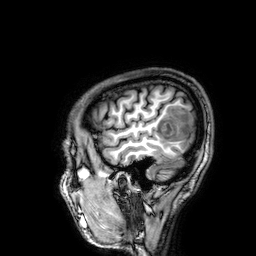
* modality: 3 Tesla brain MRI
* series: 3D T1-weighted
* study: ring-enhancing brain masses